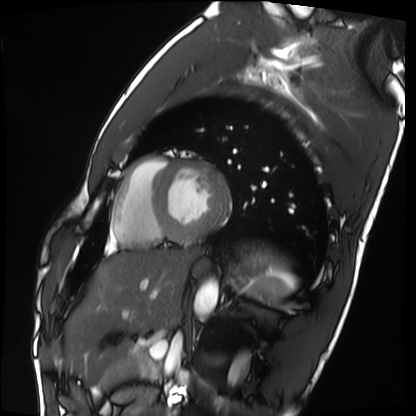
Case summary:
Cardiac MRI. Subject group: healthy volunteer.